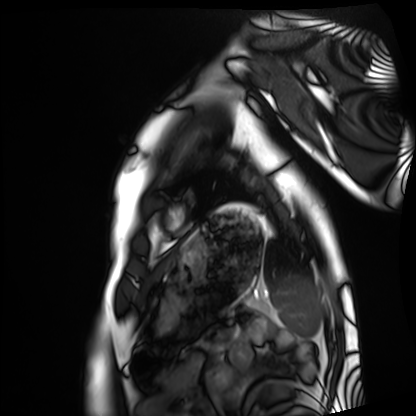
Cardiac MRI. Subject group: healthy volunteer.